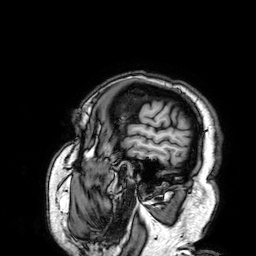
Summary:
3 Tesla brain MRI. Study: ring-enhancing brain masses.